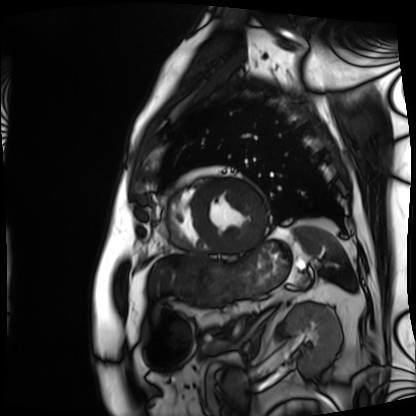
Cardiac MRI. Subject group: patient.